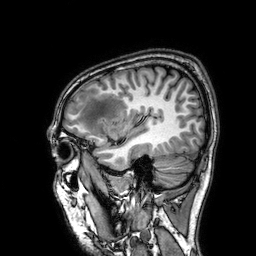
Q: What kind of scan is this?
A: 3 Tesla brain MRI.
Q: Series?
A: 3D T1-weighted.
Study: ring-enhancing brain masses.